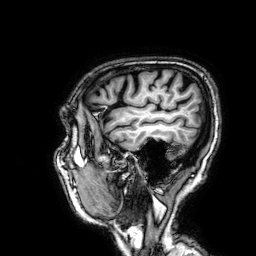
Clinical context:
3 Tesla brain MRI. Series: 3D T1-weighted. Study: ring-enhancing brain masses.